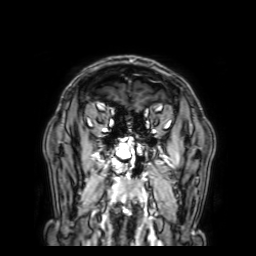
  modality:
    type: brain MRI
    field_strength: 3T
  series: 3D T1-weighted with SENSE
  study_topic: ring-enhancing brain masses